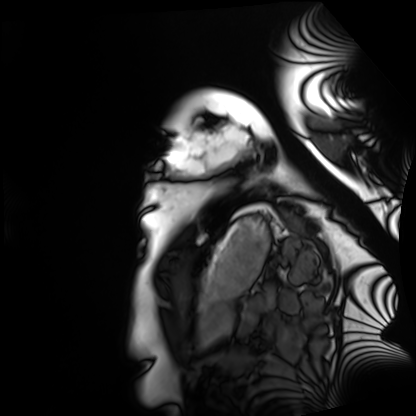
{"modality": "cardiac MRI", "cohort": "healthy volunteer"}